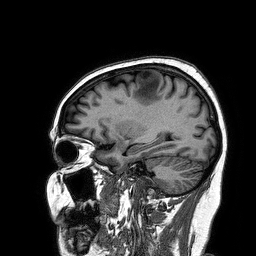
Case:
• modality: 3 Tesla brain MRI
• series: 3D T1-weighted turbo field echo
• study: ring-enhancing brain masses